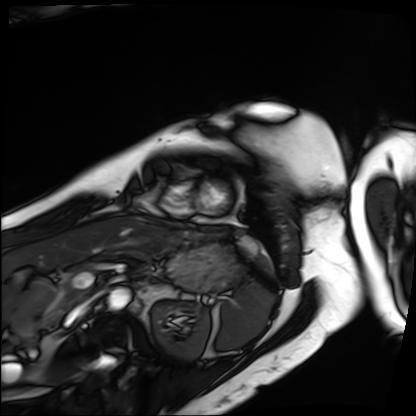
Cardiac MRI. Subject group: patient.